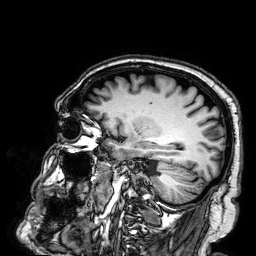
Summary:
3 Tesla brain MRI. Series: 3D T1-weighted. Study: ring-enhancing brain masses.